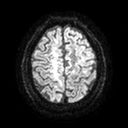
Case:
* modality: 3 Tesla brain MRI
* study: ring-enhancing brain masses